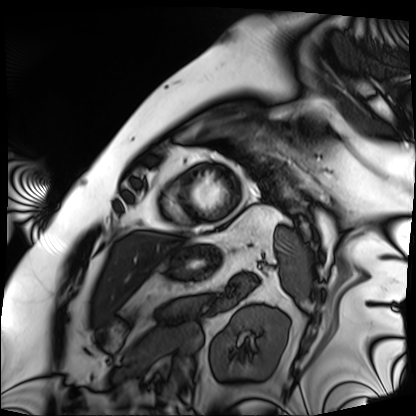
Cardiac MRI.
Subject group: patient.